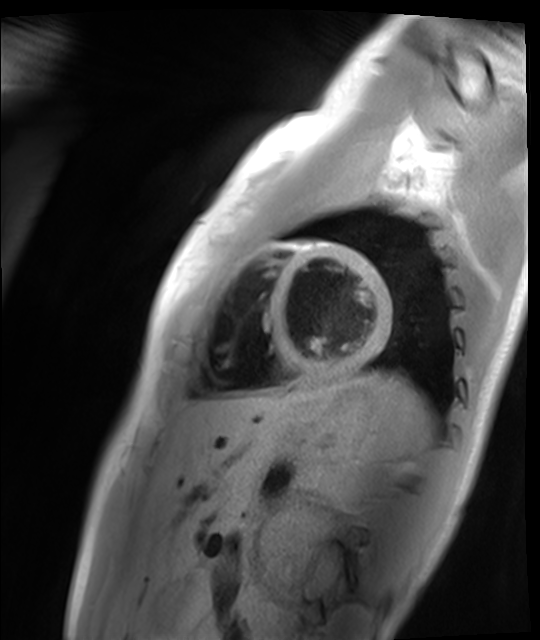
Cardiac MR image of the myocardium. Subject cohort: healthy volunteer.